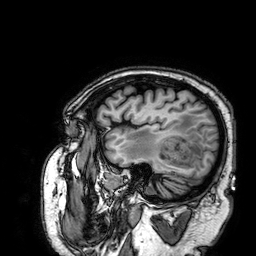
modality = 3 Tesla brain MRI; series = 3D T1-weighted; study = ring-enhancing brain masses.